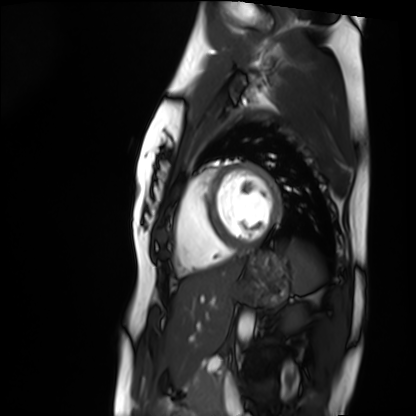
Cardiac MRI. Subject group: healthy volunteer.